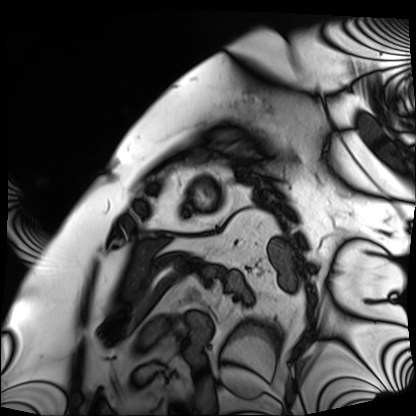
Summary: Cardiac MRI. Subject group: patient.